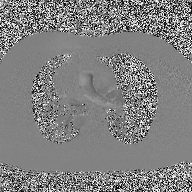
modality: 2D phase-contrast cine MRI of the ascending aorta.